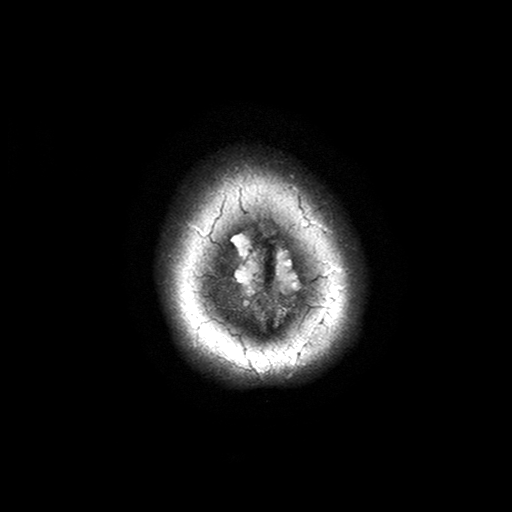
{
  "modality": {
    "type": "brain MRI",
    "field_strength": "3T"
  },
  "series": "T2-weighted turbo spin echo with SENSE",
  "study_topic": "ring-enhancing brain masses"
}